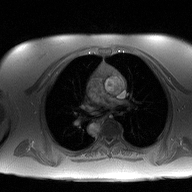
Case:
* modality: 2D phase-contrast cine MRI of the ascending aorta